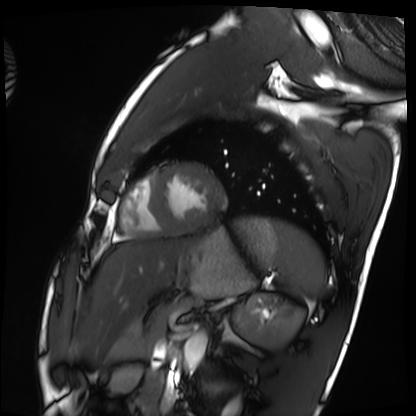
| field | value |
|---|---|
| modality | cardiac MRI |
| subject group | healthy volunteer |